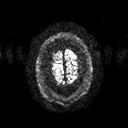
Q: What kind of scan is this?
A: 3 Tesla brain MRI.
Q: Series?
A: Diffusion tensor imaging (medium iso).
Study: ring-enhancing brain masses.